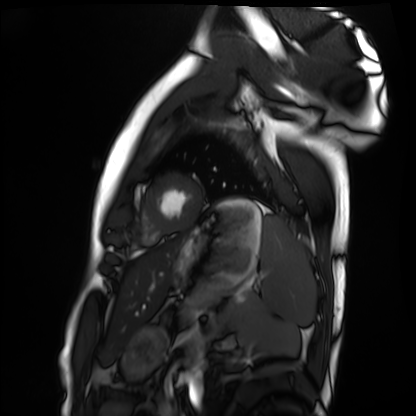
Clinical context:
Cardiac MRI. Subject group: healthy volunteer.